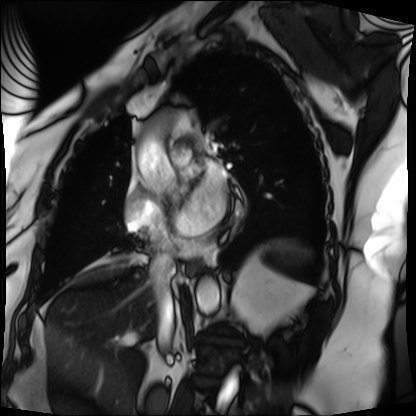
• modality: cardiac MRI
• subject group: patient